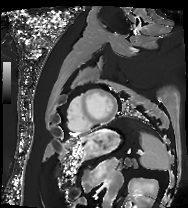
Case:
- modality — cardiac MRI
- subject group — patient